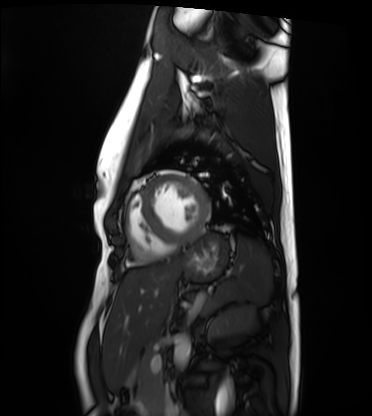
Cardiac MRI. Subject group: healthy volunteer.